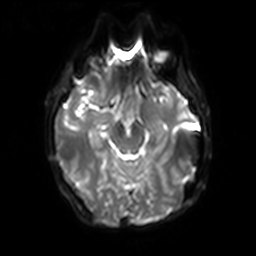
3 Tesla brain MRI.
Series: diffusion-weighted imaging with SENSE (WIP).
Study: ring-enhancing brain masses.